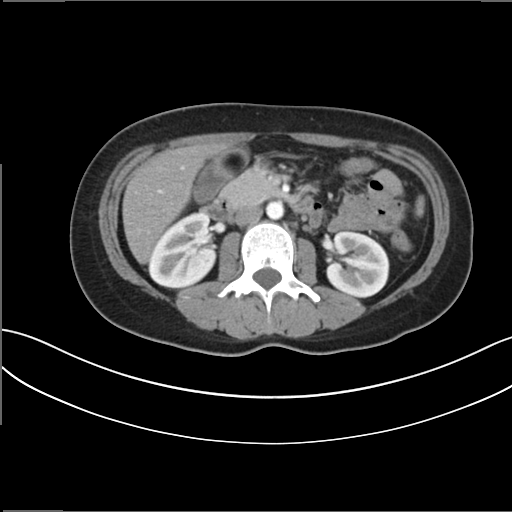
Q: What kind of scan is this?
A: Multiphase abdominal CT, liver, arterial phase.
Q: Patient?
A: Male, age 37.